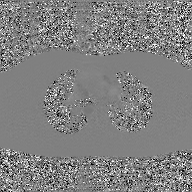
2D phase-contrast cine MRI of the ascending aorta, GAN super-resolution reconstruction.